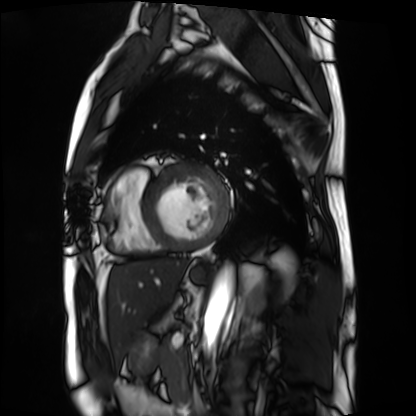
* modality: cardiac MRI
* subject group: patient